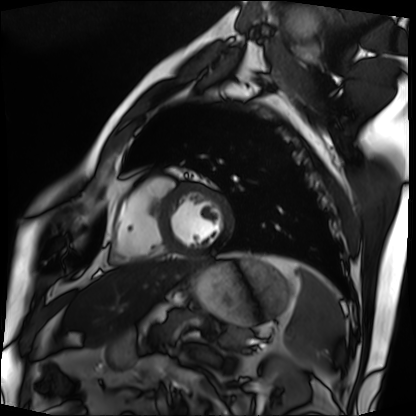
Case summary:
Cardiac MRI. Subject group: patient.